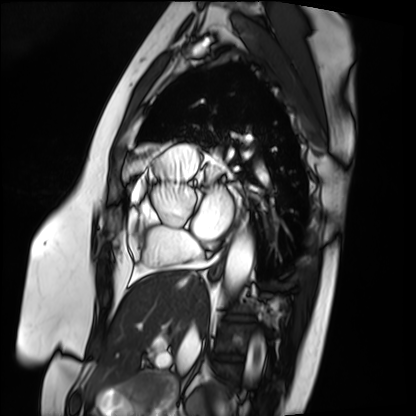
{
  "modality": "cardiac MRI",
  "cohort": "patient"
}